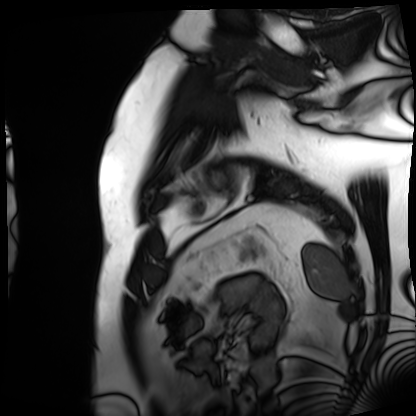
Cardiac MRI.
Subject group: patient.